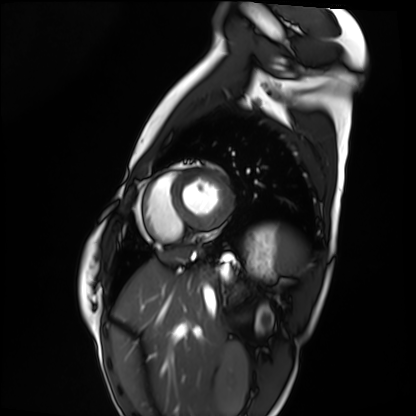
modality = cardiac MRI, subject group = healthy volunteer.